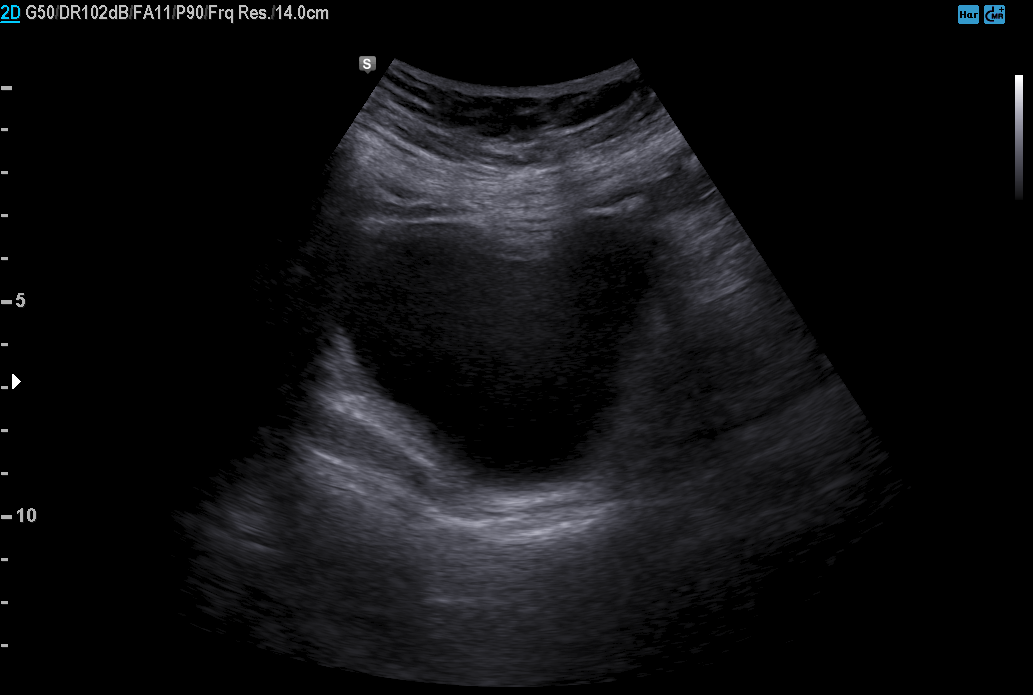
Genitourinary ultrasound.